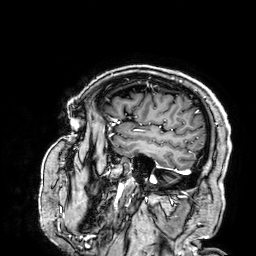
Summary: 3 Tesla brain MRI. Series: 3D T1-weighted. Study: ring-enhancing brain masses.